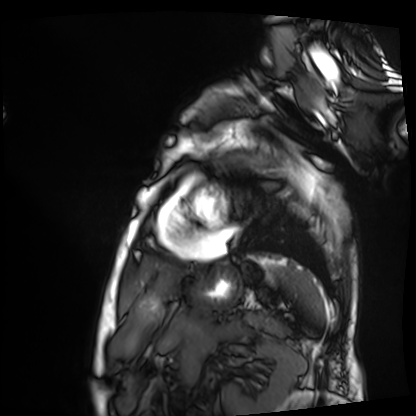
Cardiac MRI.
Subject group: patient.